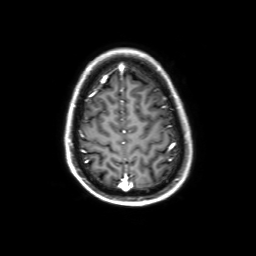
modality: 3 Tesla brain MRI
series: 3D T1-weighted with SENSE
study: ring-enhancing brain masses